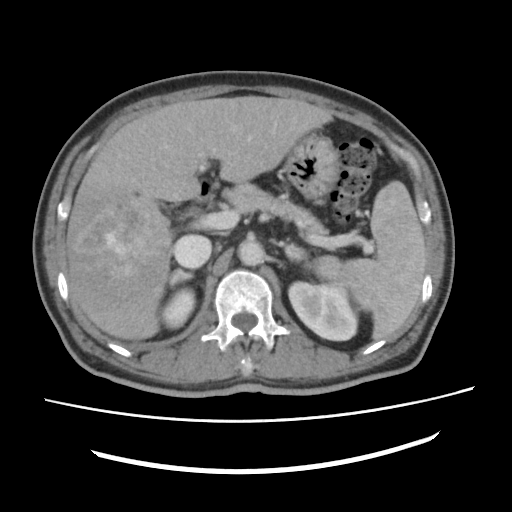
{"modality": {"type": "multiphase abdominal CT", "region": "liver", "phase": "portal venous"}, "patient": {"sex": "male", "age": 60}, "history": ["viral hepatitis", "prior chemotherapy"]}